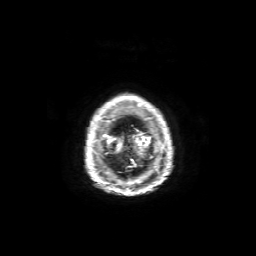
3 Tesla brain MRI.
Series: axial T1-weighted fusion image.
Study: ring-enhancing brain masses.